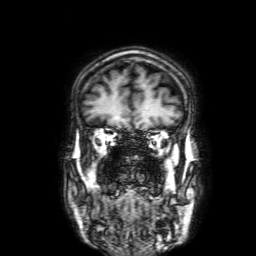
Summary: 3 Tesla brain MRI. Series: 3D T1-weighted with SENSE. Study: ring-enhancing brain masses.